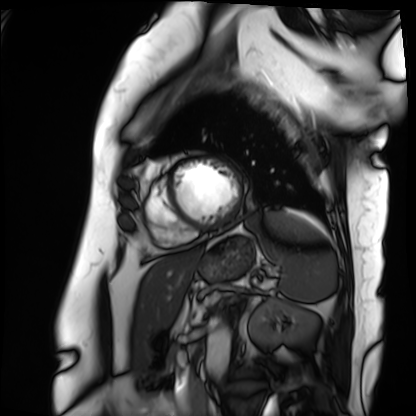
Summary:
Cardiac MRI. Subject group: patient.